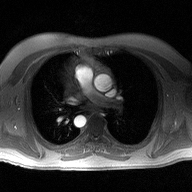
Summary:
2D phase-contrast cine MRI of the ascending aorta, high-resolution GRAPPA acquisition.